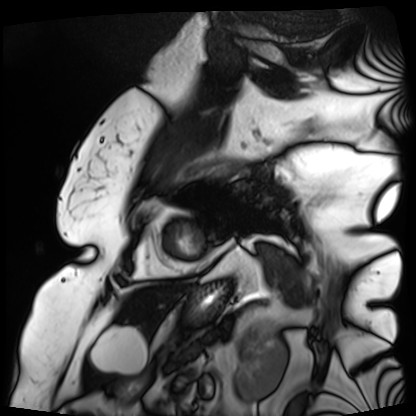
– modality · cardiac MRI
– subject group · patient